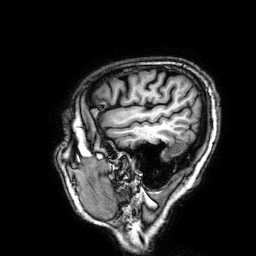
3 Tesla brain MRI. Series: 3D T1-weighted. Study: ring-enhancing brain masses.